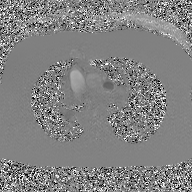
Case summary:
2D phase-contrast cine MRI of the ascending aorta, GAN super-resolution reconstruction.